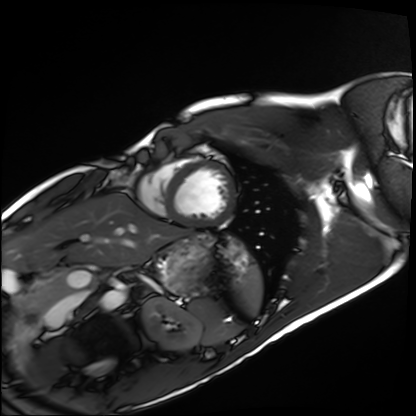
Cardiac MRI.
Subject group: healthy volunteer.